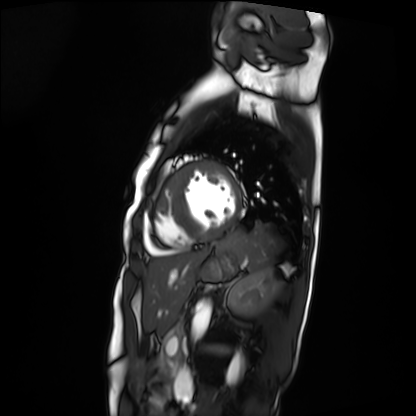
– modality — cardiac MRI
– subject group — patient